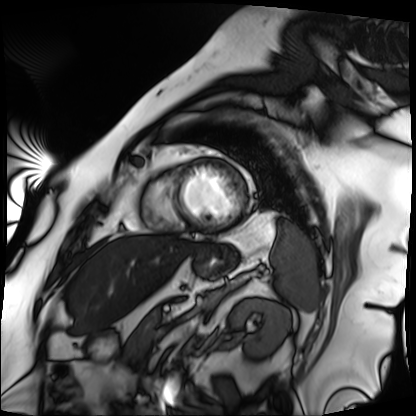
Case:
• modality: cardiac MRI
• subject group: patient